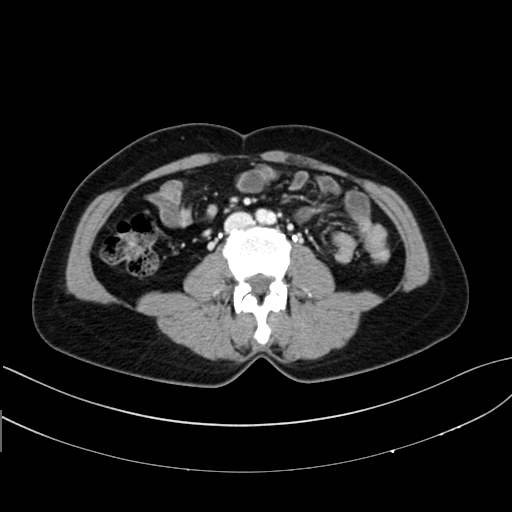
Multiphase abdominal CT, liver, delayed phase. Patient: female, age 43. History: prior chemotherapy.